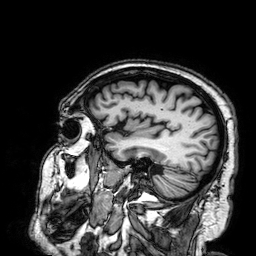
{"modality": {"type": "brain MRI", "field_strength": "3T"}, "series": "3D T1-weighted", "study_topic": "ring-enhancing brain masses"}